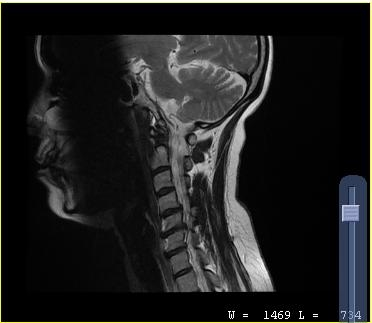
MRI of the cervical spine.
Study: cervical spondylosis.